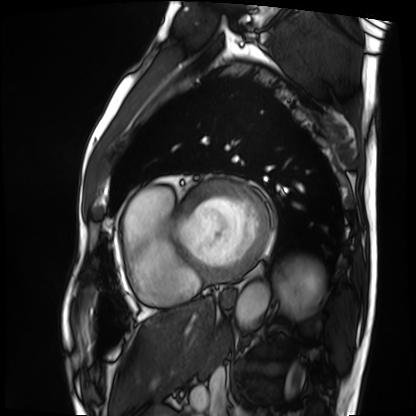
Clinical context: Cardiac MRI. Subject group: patient.